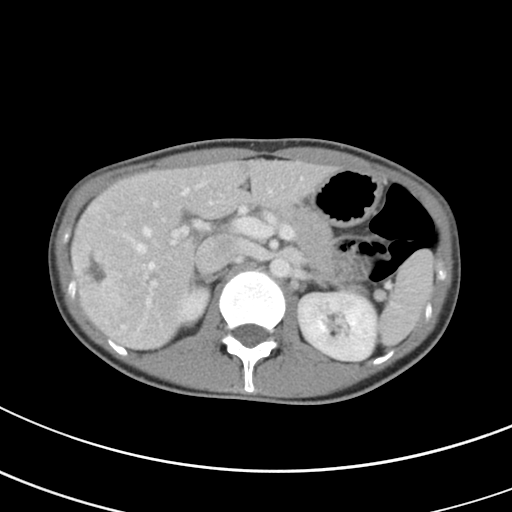
<case>
  <modality>
    <type>multiphase abdominal CT</type>
    <region>liver</region>
    <phase>portal venous</phase>
  </modality>
  <patient>
    <sex>female</sex>
    <age>27</age>
  </patient>
</case>